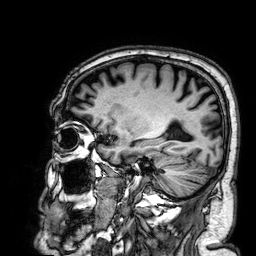
Q: What kind of scan is this?
A: 3 Tesla brain MRI.
Q: Series?
A: 3D T1-weighted.
Study: ring-enhancing brain masses.